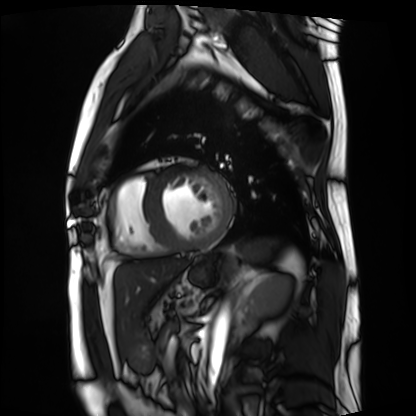
Q: What kind of scan is this?
A: Cardiac MRI.
Subject group: patient.